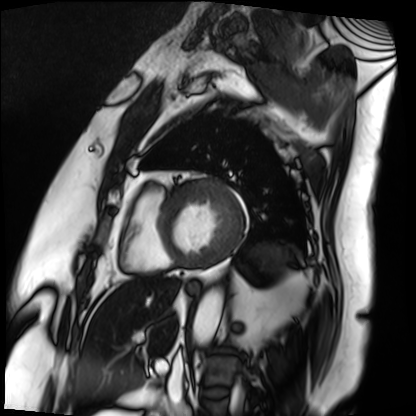
Cardiac MRI.
Subject group: patient.